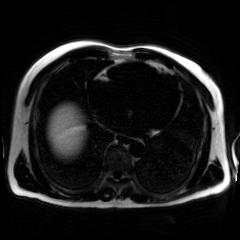
Chemical-shift-encoded cardiac MRI.